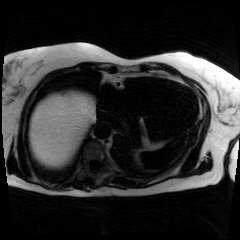
modality — chemical-shift-encoded cardiac MRI.